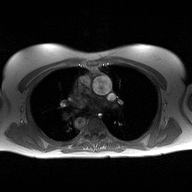
2D phase-contrast cine MRI of the ascending aorta, high-resolution GRAPPA acquisition.